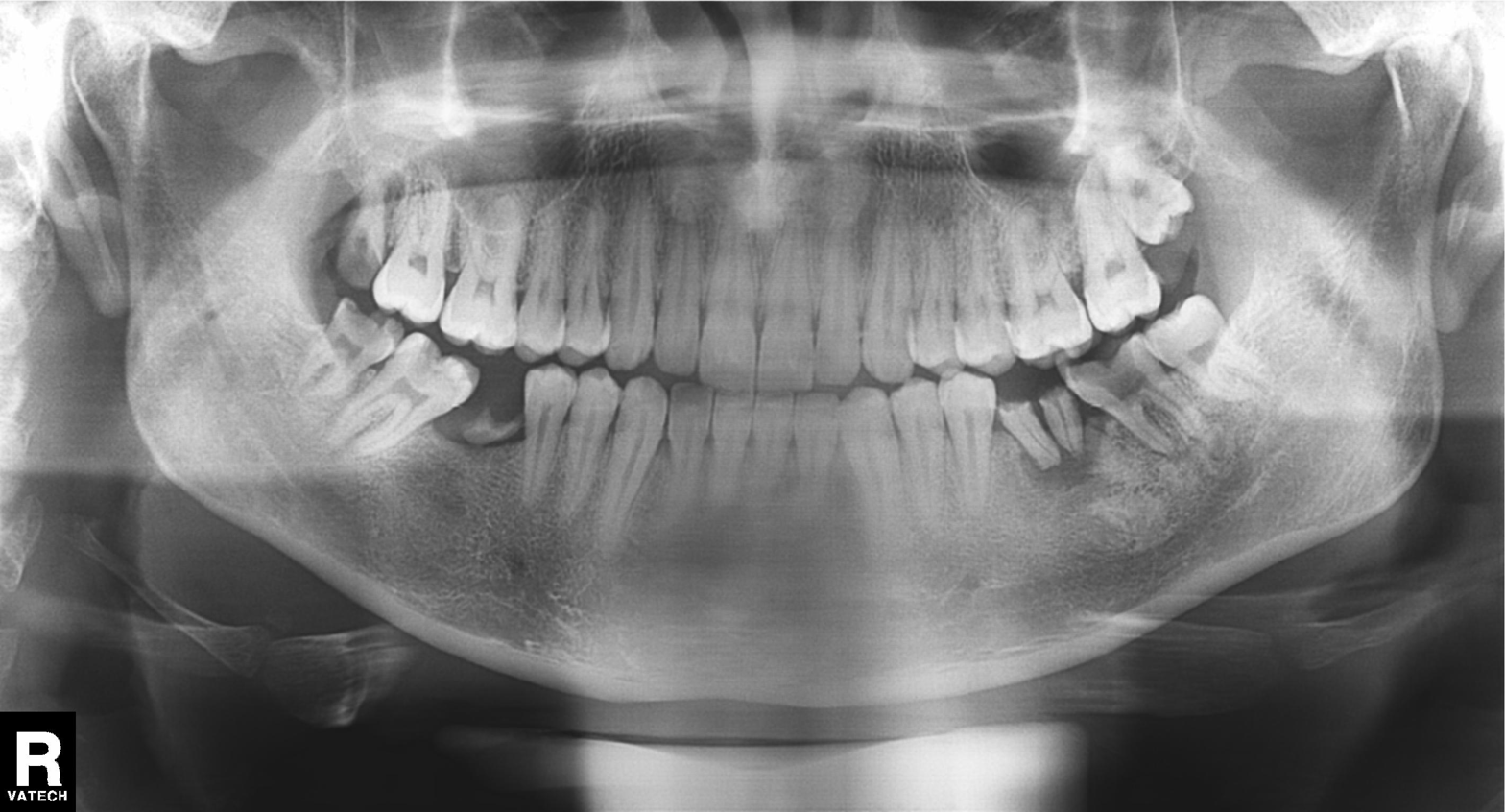
Panoramic dental radiograph (orthopantomogram). Finding: tooth impaction.